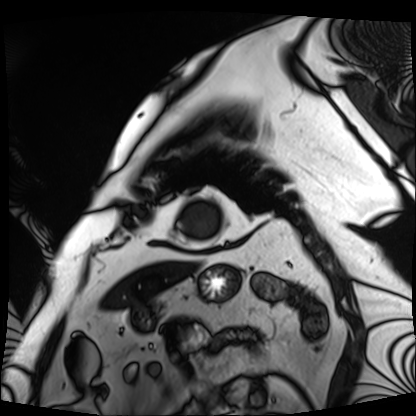
modality: cardiac MRI
cohort: patient